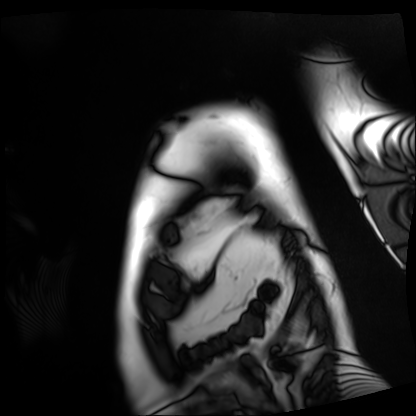
Cardiac MRI. Subject group: patient.